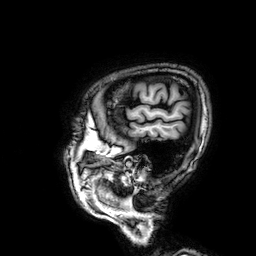
- modality: 3 Tesla brain MRI
- series: 3D T1-weighted
- study: ring-enhancing brain masses